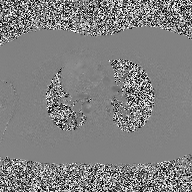
Q: What kind of scan is this?
A: 2D phase-contrast cine MRI of the ascending aorta.